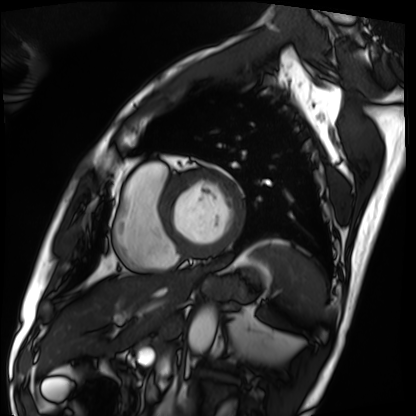
modality: cardiac MRI
cohort: patient